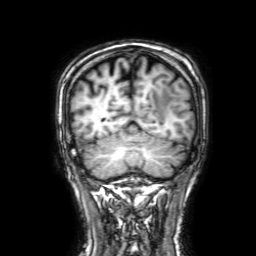
{
  "modality": {
    "type": "brain MRI",
    "field_strength": "3T"
  },
  "series": "3D T1-weighted with SENSE",
  "study_topic": "ring-enhancing brain masses"
}